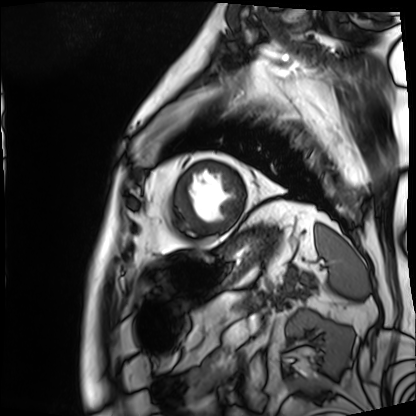
modality: cardiac MRI | subject group: patient.